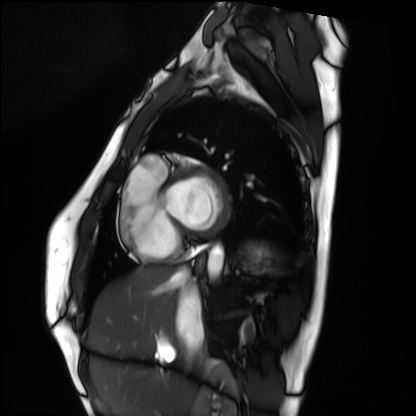
Summary:
Cardiac MRI. Subject group: healthy volunteer.